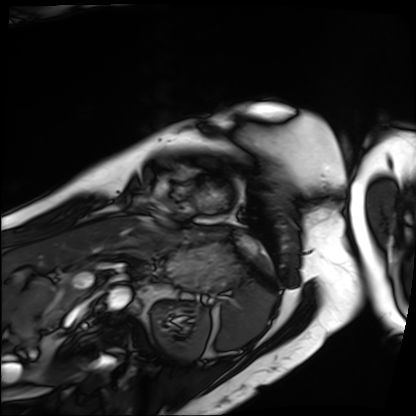
- modality — cardiac MRI
- subject group — patient